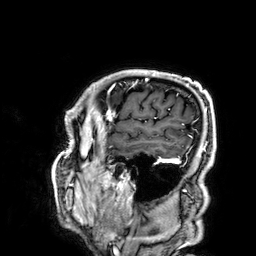
Q: What kind of scan is this?
A: 3 Tesla brain MRI.
Q: Series?
A: 3D T1-weighted.
Study: ring-enhancing brain masses.